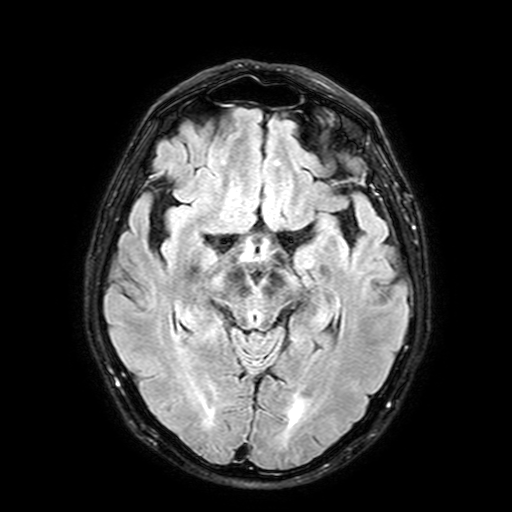
* modality — 3 Tesla brain MRI
* series — FLAIR with SPAIR, 3 mm
* study — ring-enhancing brain masses